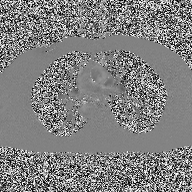
2D phase-contrast cine MRI of the ascending aorta, high-resolution GRAPPA acquisition.